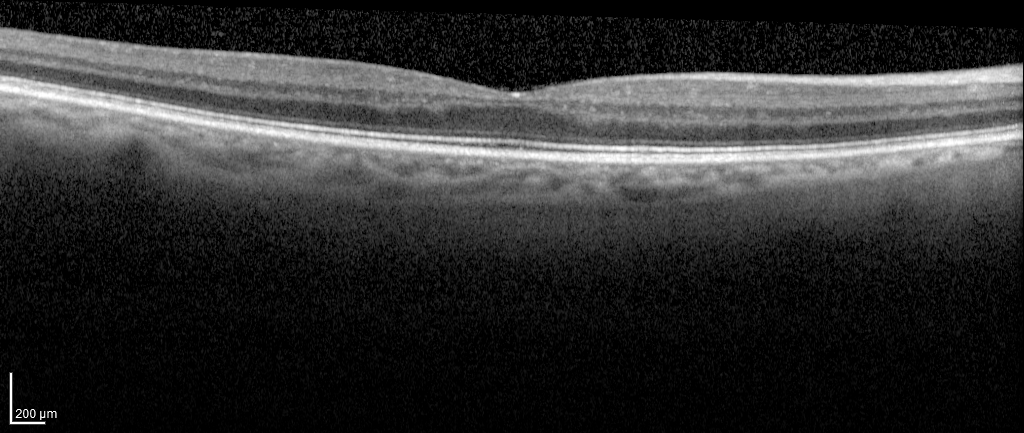
Clinical context: Spectral-domain optical coherence tomography (SD-OCT) of the macula. Subject: female, age 67, right eye. Cohort: non-diabetic control. ETDRS-grid retinal thickness (μm): central 296, inner temporal 317, inner nasal 336, inner superior 332, inner inferior 320, outer temporal 262, outer nasal 289, outer superior 284, outer inferior 271.